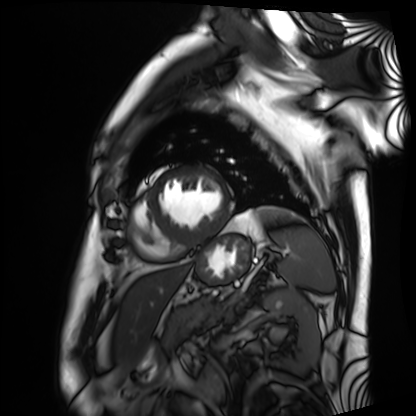
* modality — cardiac MRI
* subject group — patient